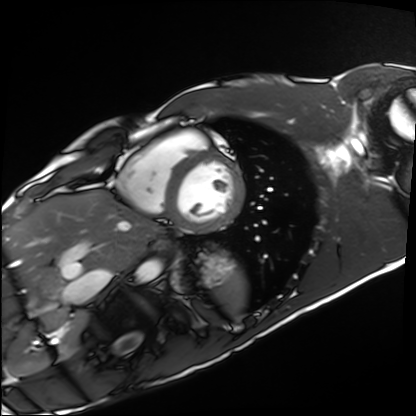
Cardiac MRI.
Subject group: healthy volunteer.